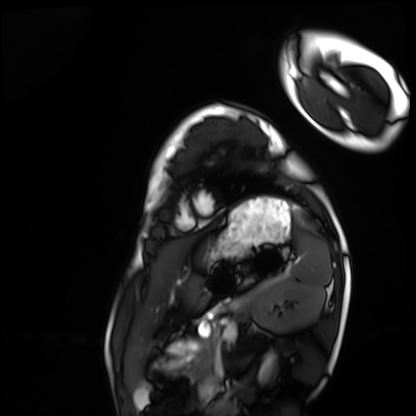
Clinical context: Cardiac MRI. Subject group: healthy volunteer.